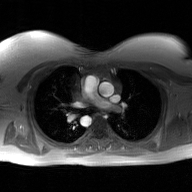
2D phase-contrast cine MRI of the ascending aorta, GAN super-resolution reconstruction.